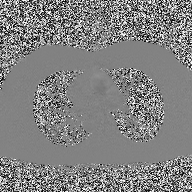
modality — 2D phase-contrast cine MRI of the ascending aorta.